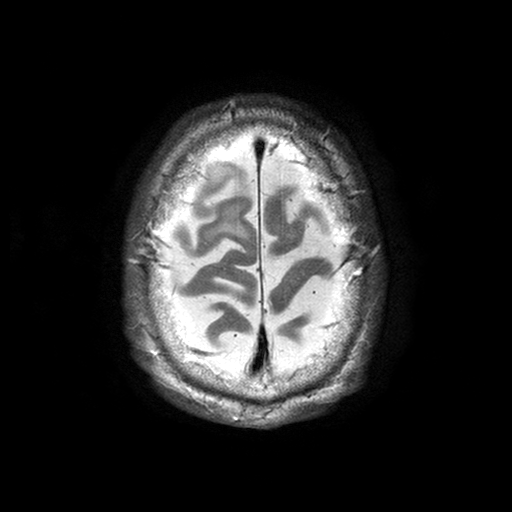
3 Tesla brain MRI.
Series: T2-weighted turbo spin echo with SENSE.
Study: ring-enhancing brain masses.